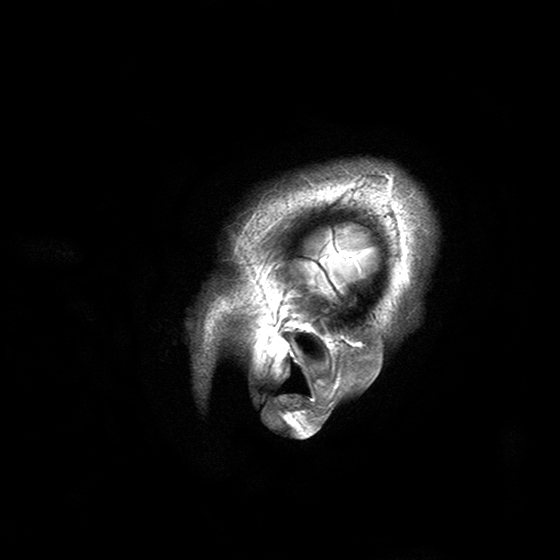
modality=3 Tesla brain MRI
series=T2-weighted turbo spin echo with SENSE
study=ring-enhancing brain masses